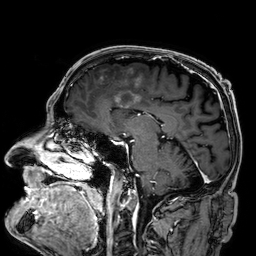
3 Tesla brain MRI. Series: 3D T1-weighted. Study: ring-enhancing brain masses.